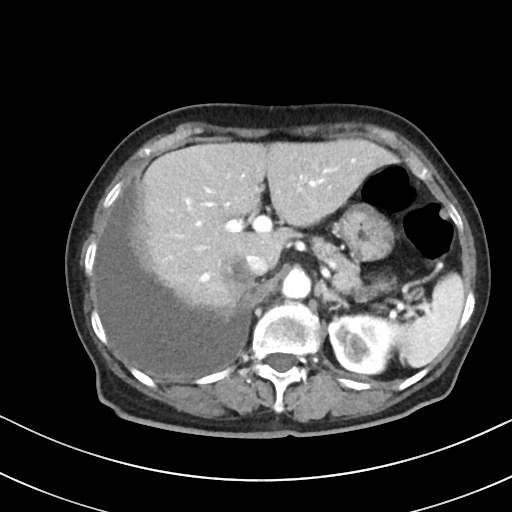
Summary: Multiphase abdominal CT, liver, portal venous phase. Patient: female, age 76. History: prior chemotherapy.